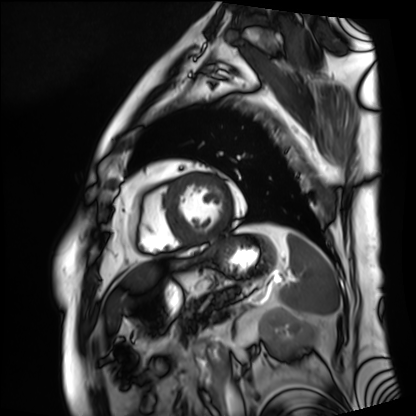
modality=cardiac MRI
subject group=patient